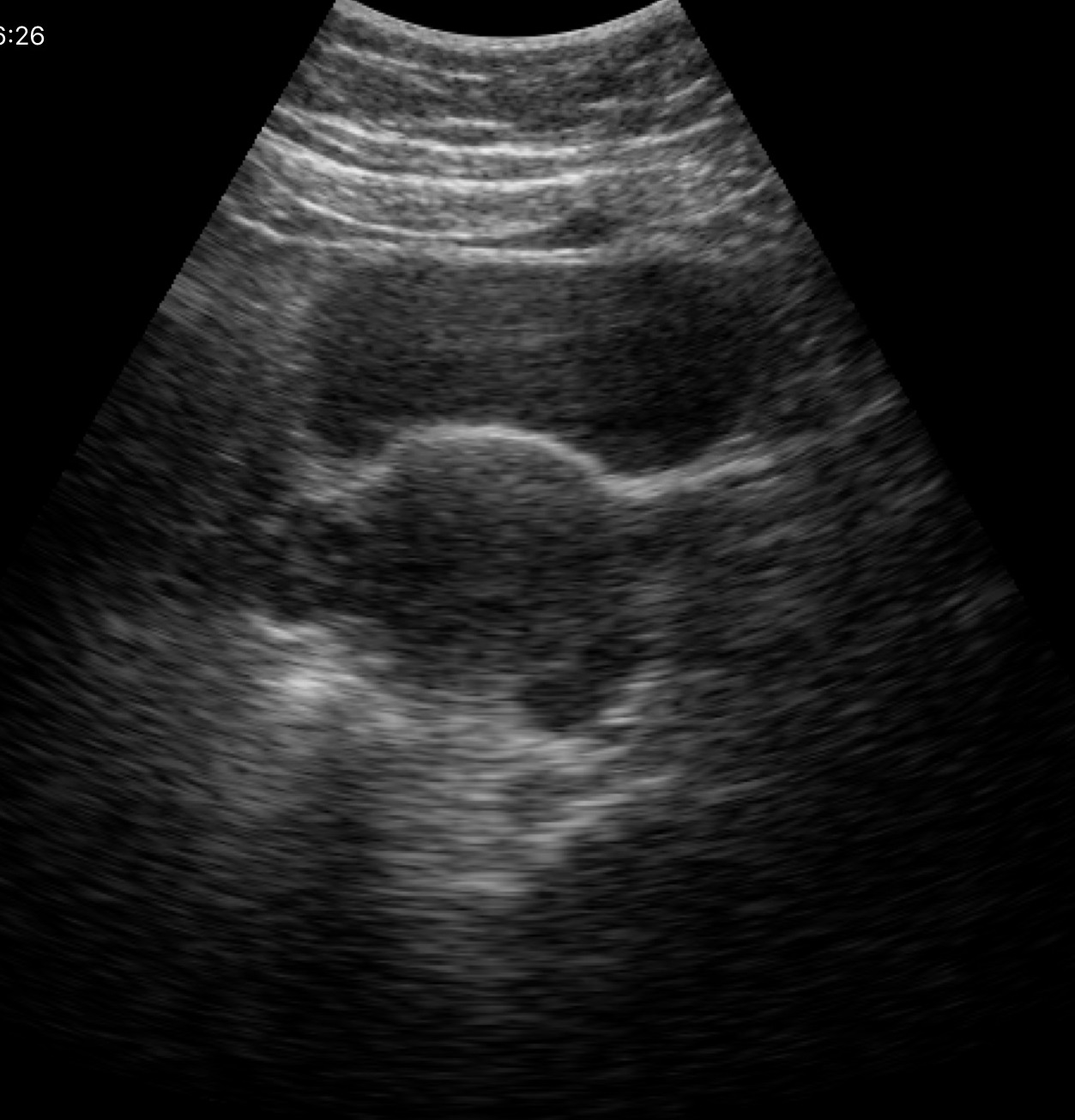
modality — genitourinary ultrasound.